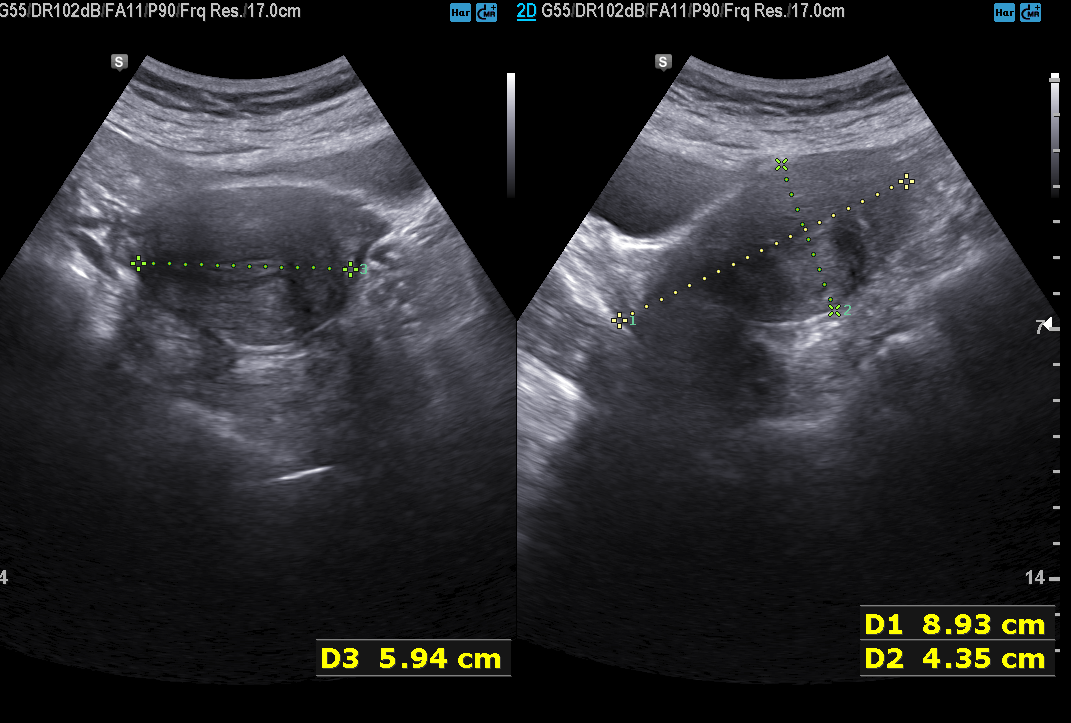
Summary:
Genitourinary ultrasound.